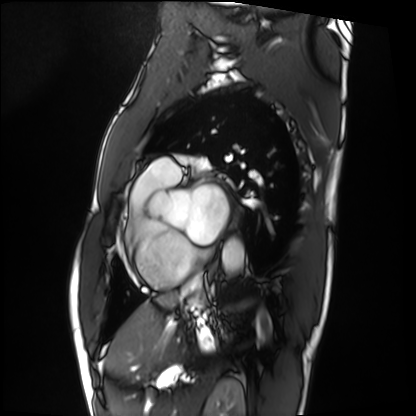
<case>
  <modality>cardiac MRI</modality>
  <cohort>patient</cohort>
</case>